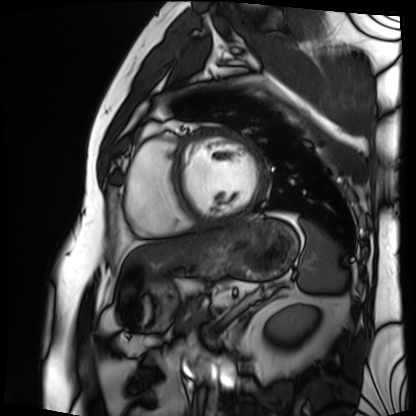
Cardiac MRI. Subject group: patient.